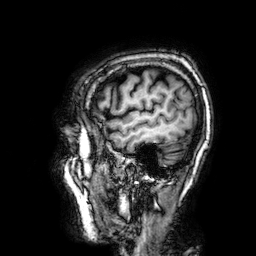
modality=3 Tesla brain MRI
study=ring-enhancing brain masses